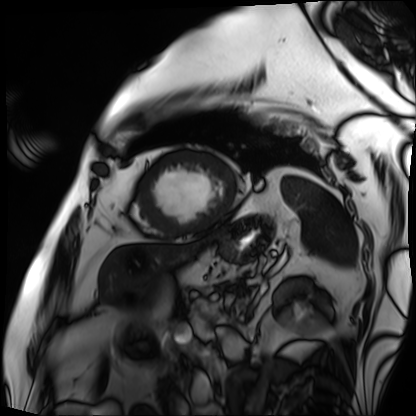
Cardiac MRI. Subject group: patient.